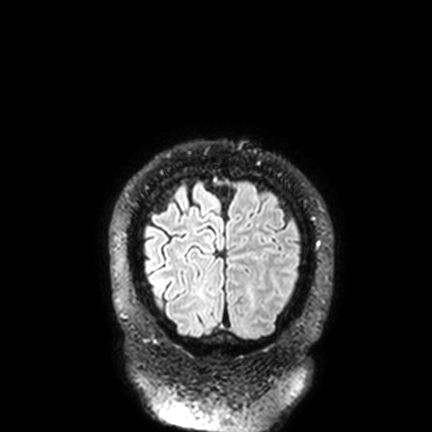
Summary: 3 Tesla brain MRI. Series: FLAIR VISTA with SENSE. Study: ring-enhancing brain masses.